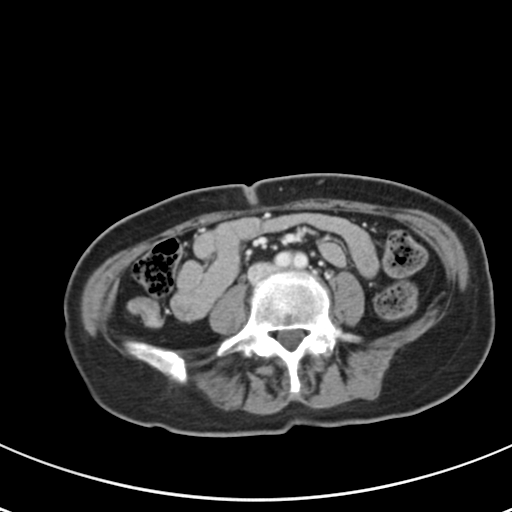
{
  "modality": {
    "type": "multiphase abdominal CT",
    "region": "liver",
    "phase": "portal venous"
  },
  "patient": {
    "sex": "female",
    "age": 59
  }
}